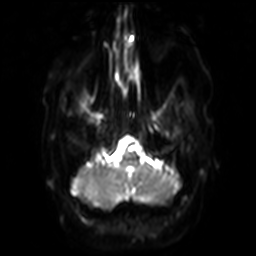
Clinical context:
3 Tesla brain MRI. Series: diffusion-weighted imaging with SENSE (WIP). Study: ring-enhancing brain masses.